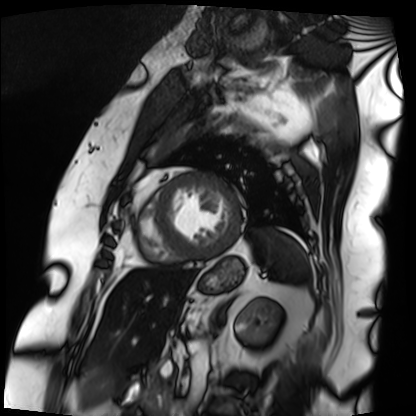
Cardiac MRI. Subject group: patient.